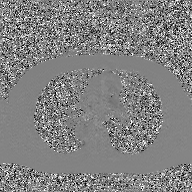
2D phase-contrast cine MRI of the ascending aorta, GAN super-resolution reconstruction.